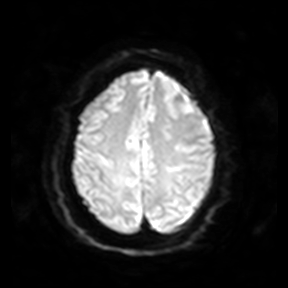
- modality — 3 Tesla brain MRI
- series — diffusion-weighted imaging
- study — ring-enhancing brain masses